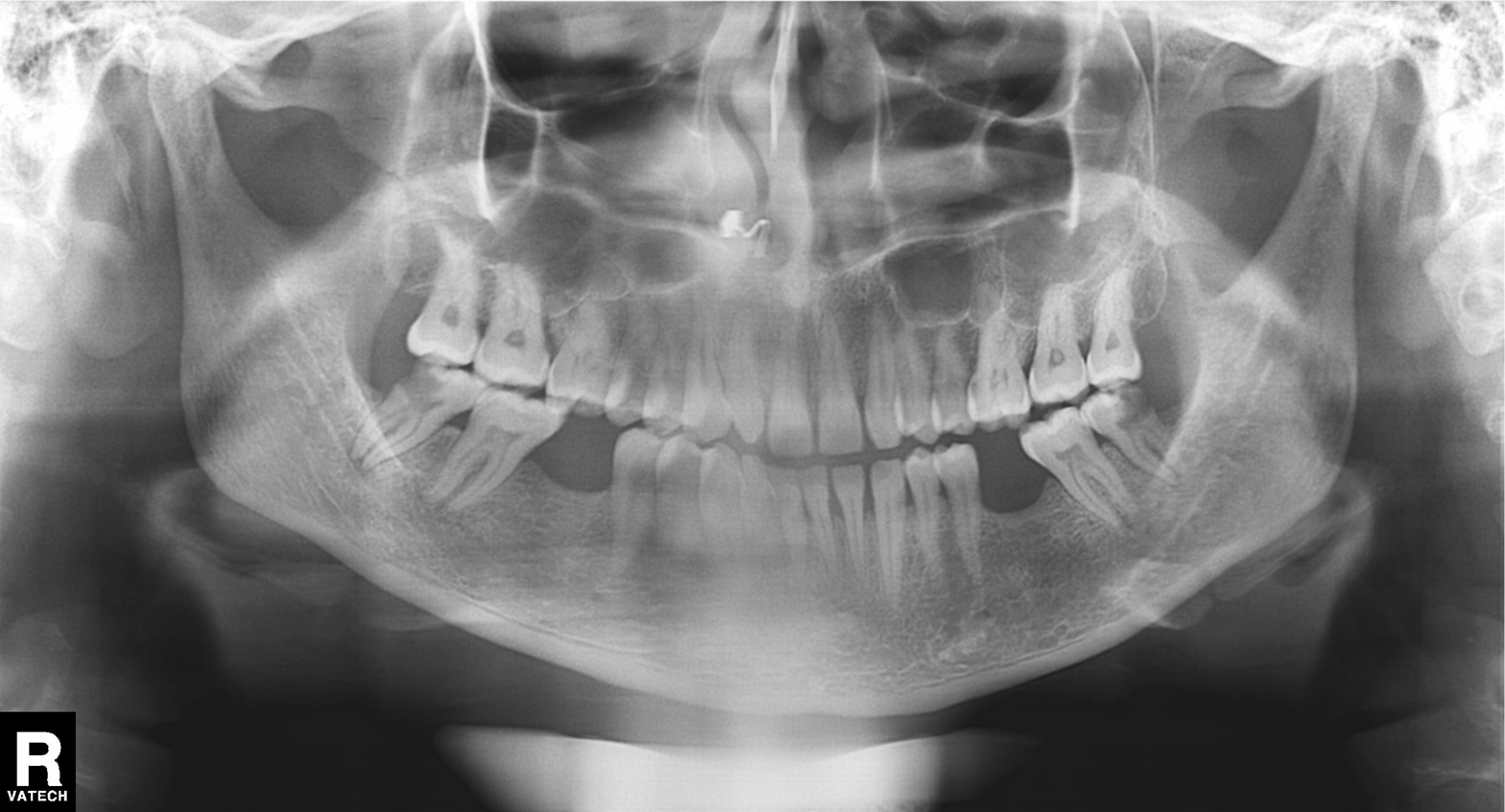
  modality: panoramic dental radiograph (orthopantomogram)
  finding: alveolar bone loss